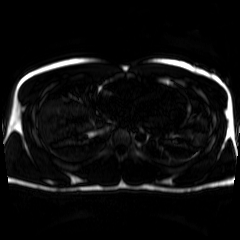
{"modality": "chemical-shift-encoded cardiac MRI"}